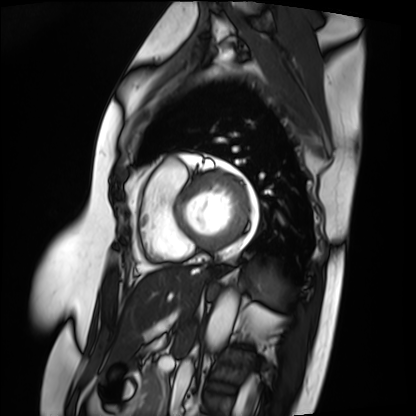
modality: cardiac MRI | subject group: patient.